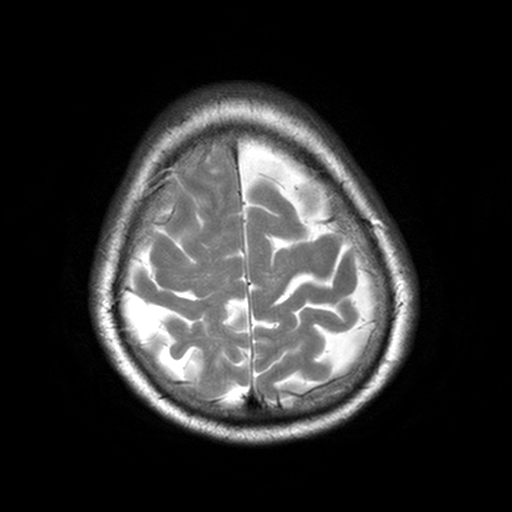
Clinical context: 3 Tesla brain MRI. Series: T2-weighted turbo spin echo, 3 mm. Study: ring-enhancing brain masses.